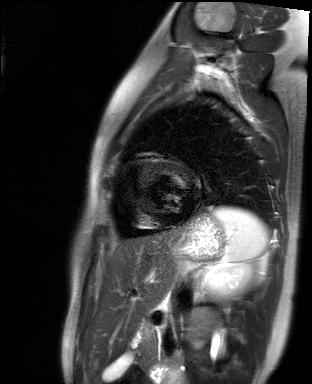
Clinical context:
Cardiac MR image of the myocardium. Subject cohort: healthy volunteer.